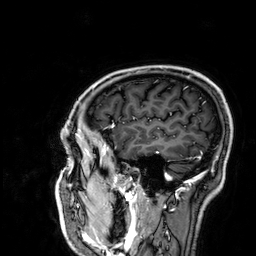
Clinical context: 3 Tesla brain MRI. Series: 3D T1-weighted. Study: ring-enhancing brain masses.